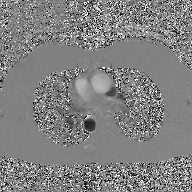
2D phase-contrast cine MRI of the ascending aorta, GAN super-resolution reconstruction.